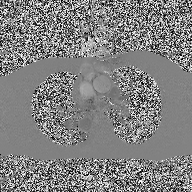
modality — 2D phase-contrast cine MRI of the ascending aorta